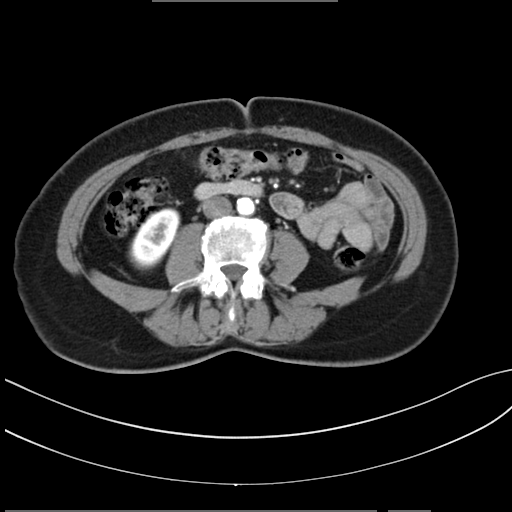
- modality · multiphase abdominal CT, liver, arterial phase
- patient · female, age 62